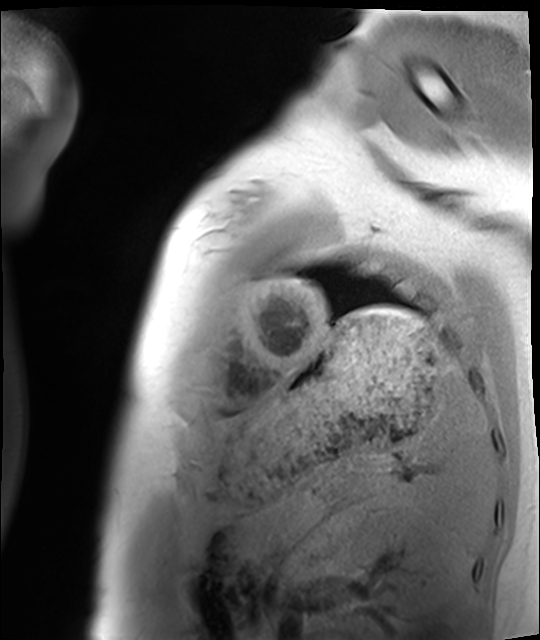
Cardiac MRI.
Subject group: healthy volunteer.